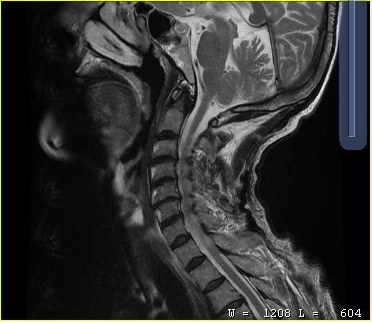
modality:
  type: cervical spine MRI
study_topic: cervical spondylosis